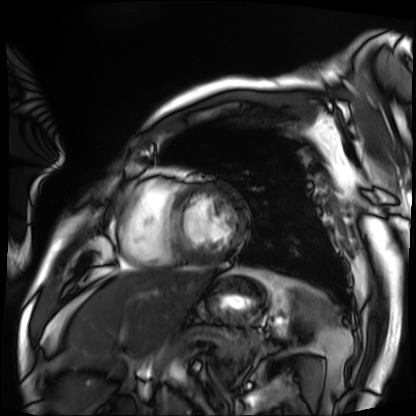
modality — cardiac MRI; subject group — patient.